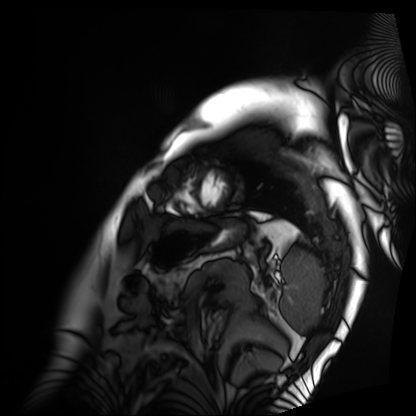
Case:
* modality — cardiac MRI
* subject group — patient